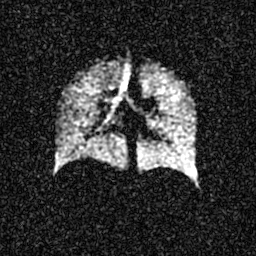
  modality: hyperpolarized 129Xe ventilation MRI of the lungs
  snr_level: 4 of 8 (the deposit holds this scan as its native image and as seven SNR-degraded versions)